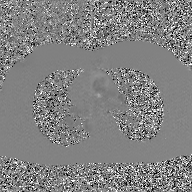
| field | value |
|---|---|
| modality | 2D phase-contrast cine MRI of the ascending aorta, GAN super-resolution reconstruction |